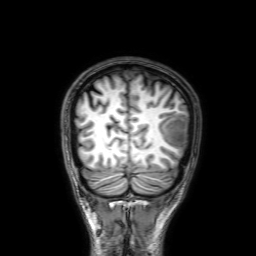
3 Tesla brain MRI. Series: 3D T1-weighted with SENSE. Study: ring-enhancing brain masses.